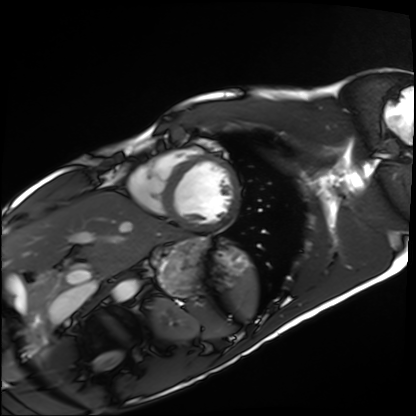
Summary:
Cardiac MRI. Subject group: healthy volunteer.